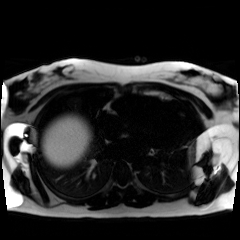
* modality · chemical-shift-encoded cardiac MRI